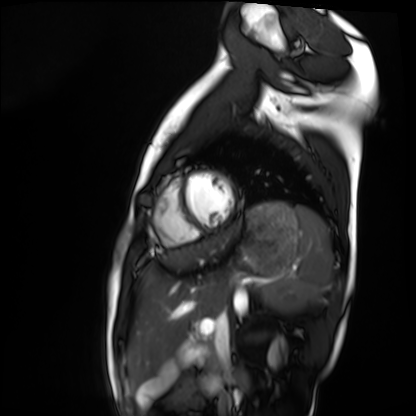
modality — cardiac MRI
subject group — healthy volunteer